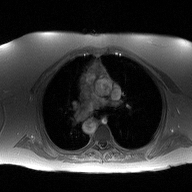
modality — 2D phase-contrast cine MRI of the ascending aorta